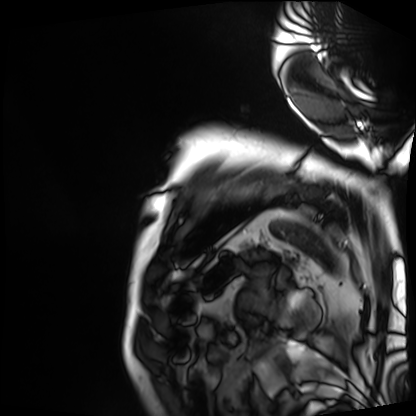
modality: cardiac MRI; subject group: patient.